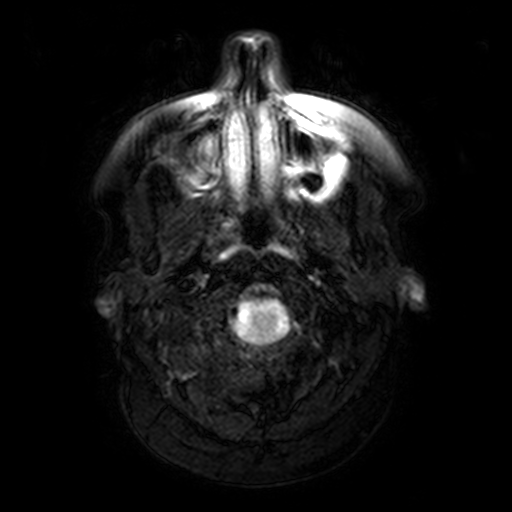
Q: What kind of scan is this?
A: 3 Tesla brain MRI.
Q: Series?
A: FLAIR with SPAIR, 3 mm.
Study: ring-enhancing brain masses.